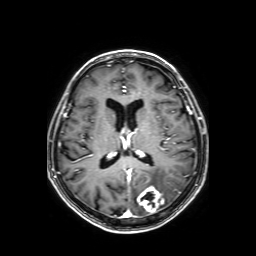
| field | value |
|---|---|
| modality | 3 Tesla brain MRI |
| study | ring-enhancing brain masses |